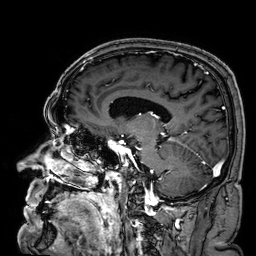
* modality · 3 Tesla brain MRI
* series · 3D T1-weighted
* study · ring-enhancing brain masses